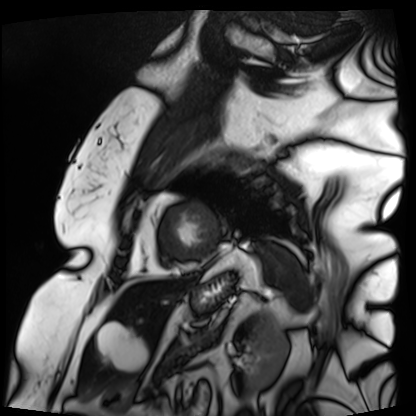
Cardiac MRI. Subject group: patient.